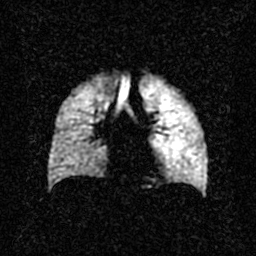
Hyperpolarized 129Xe ventilation MRI of the lungs.
SNR level 2 of 8 (the deposit holds this scan as its native image and as seven SNR-degraded versions).